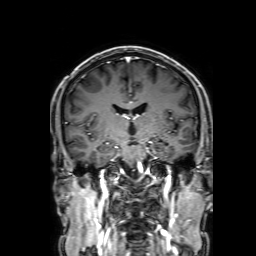
modality=3 Tesla brain MRI
series=3D T1-weighted with SENSE
study=ring-enhancing brain masses